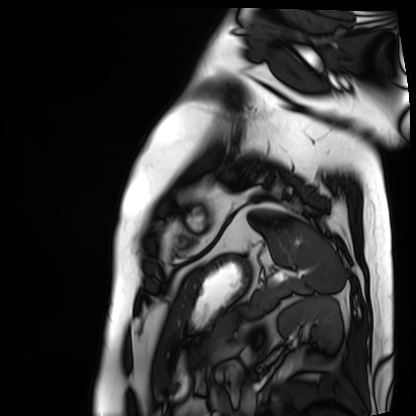
Case summary:
Cardiac MRI. Subject group: patient.